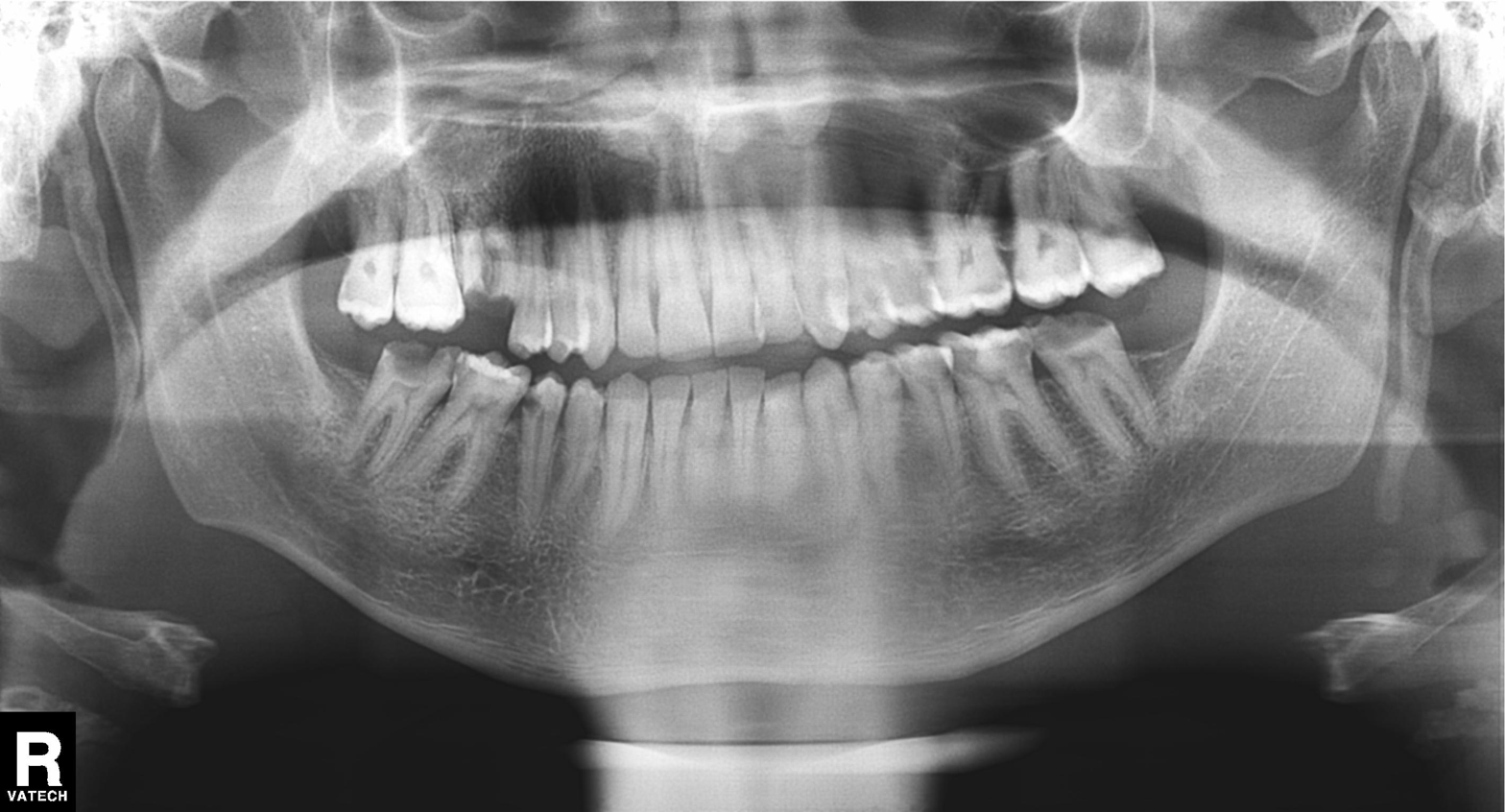
Findings:
* modality: panoramic dental radiograph (orthopantomogram)
* finding: tooth impaction